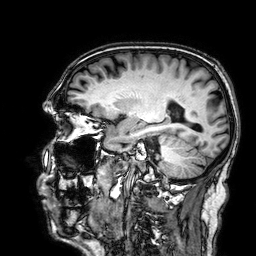
3 Tesla brain MRI.
Series: 3D T1-weighted.
Study: ring-enhancing brain masses.